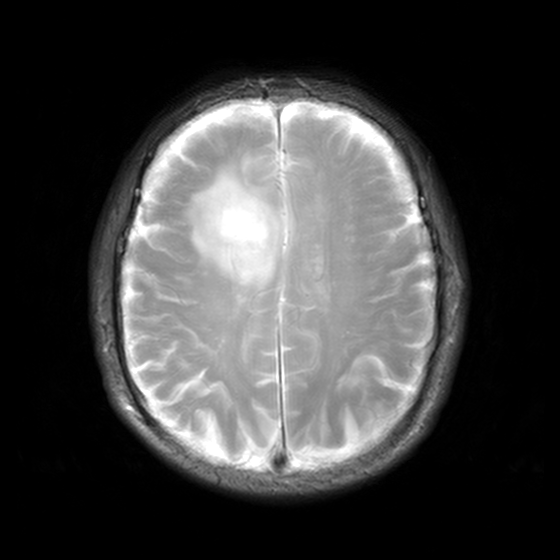
Clinical context:
3 Tesla brain MRI. Series: MR spectroscopy. Study: ring-enhancing brain masses.